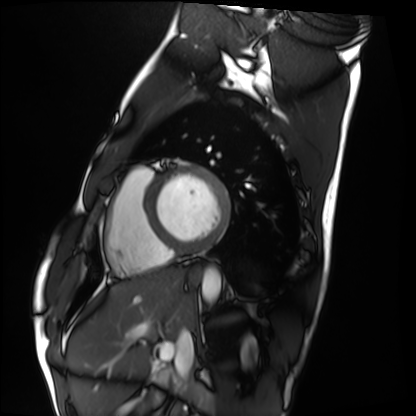
modality: cardiac MRI; subject group: healthy volunteer.